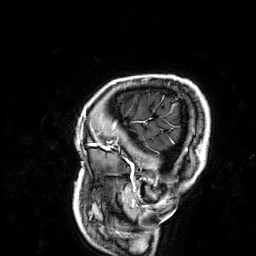
3 Tesla brain MRI. Study: ring-enhancing brain masses.